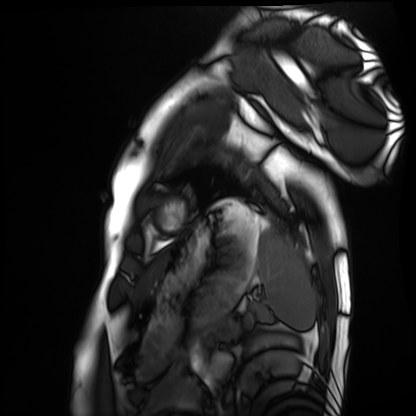
Cardiac MRI. Subject group: healthy volunteer.